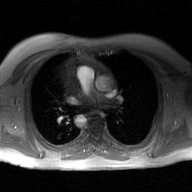
Case summary: 2D phase-contrast cine MRI of the ascending aorta, GAN super-resolution reconstruction.